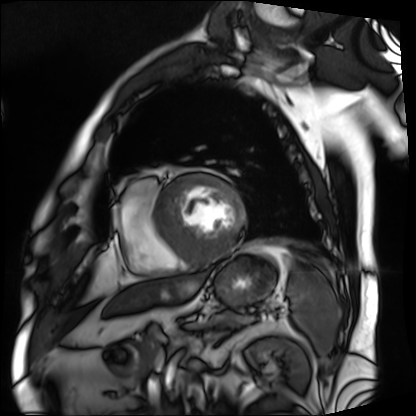
modality — cardiac MRI | subject group — patient.